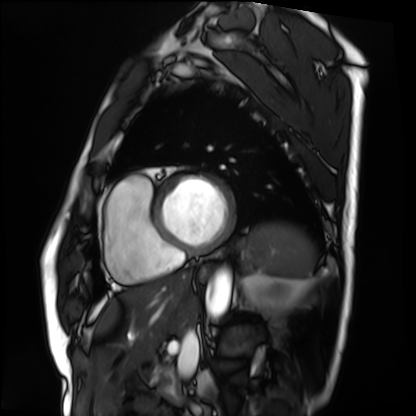
Cardiac MRI.
Subject group: patient.